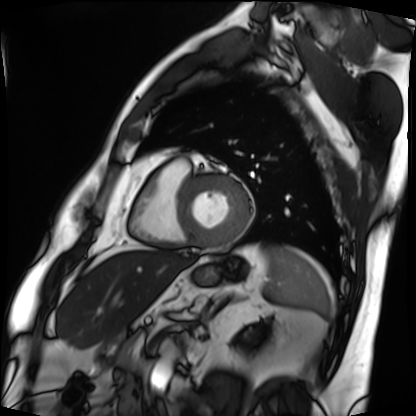
modality: cardiac MRI
subject group: patient